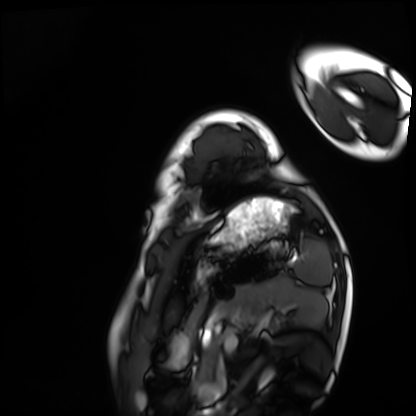
  modality: cardiac MRI
  cohort: healthy volunteer